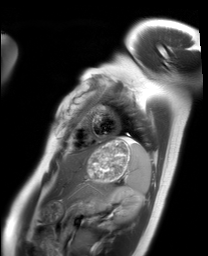
Clinical context:
Cardiac MRI. Subject group: healthy volunteer.